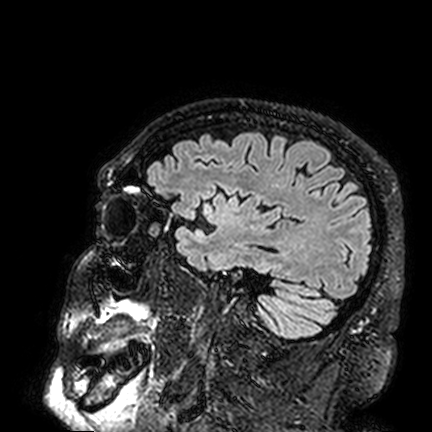
3 Tesla brain MRI.
Study: ring-enhancing brain masses.